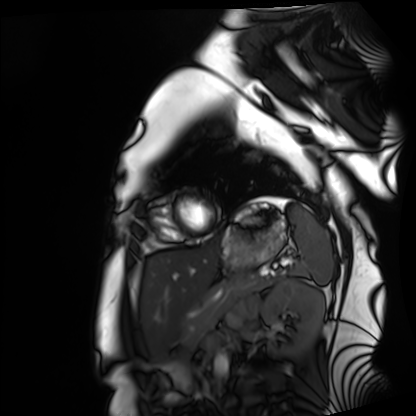
Summary:
Cardiac MRI. Subject group: healthy volunteer.